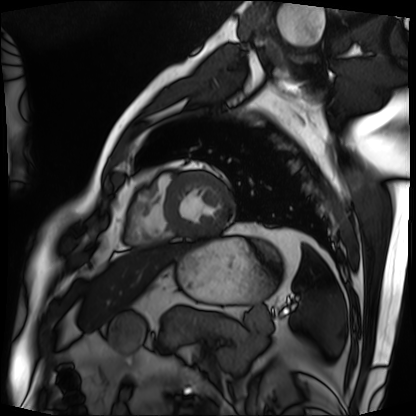
Cardiac MRI.
Subject group: patient.